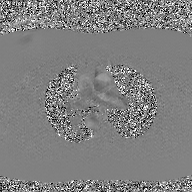
Summary:
2D phase-contrast cine MRI of the ascending aorta, GAN super-resolution reconstruction.